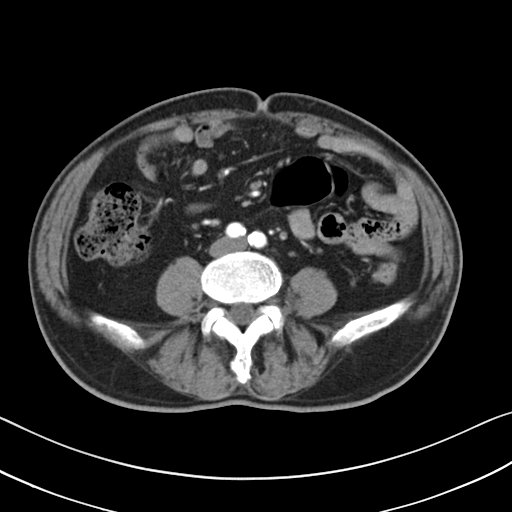
<case>
<modality>
  <type>multiphase abdominal CT</type>
  <region>liver</region>
  <phase>arterial</phase>
</modality>
<patient>
  <sex>male</sex>
  <age>71</age>
</patient>
</case>